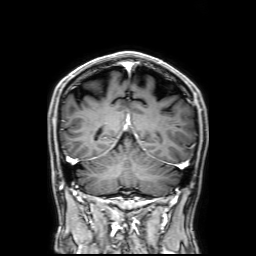
{"modality": {"type": "brain MRI", "field_strength": "3T"}, "series": "3D T1-weighted with SENSE", "study_topic": "ring-enhancing brain masses"}